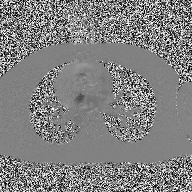
modality = 2D phase-contrast cine MRI of the ascending aorta